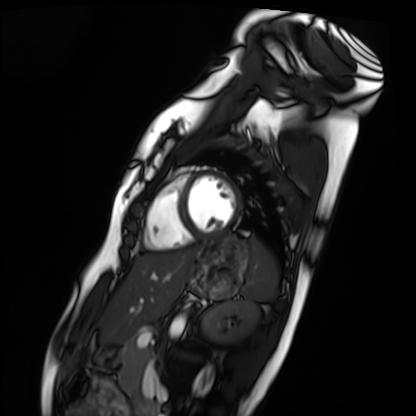
Cardiac MRI.
Subject group: healthy volunteer.